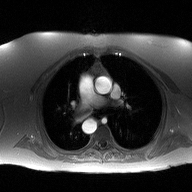
  modality:
    type: 2D phase-contrast cine MRI
    region: ascending aorta
    reconstruction: high-resolution GRAPPA acquisition